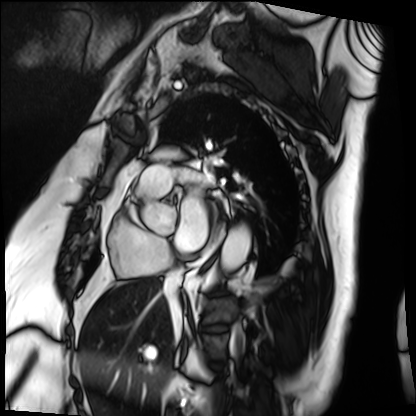
Cardiac MRI.
Subject group: patient.